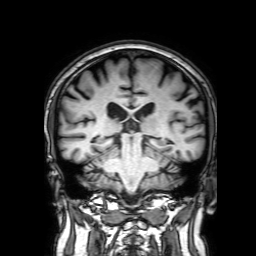
• modality: 3 Tesla brain MRI
• series: 3D T1-weighted with SENSE
• study: ring-enhancing brain masses